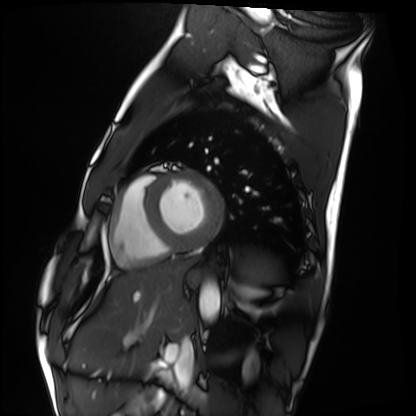
Cardiac MRI. Subject group: healthy volunteer.